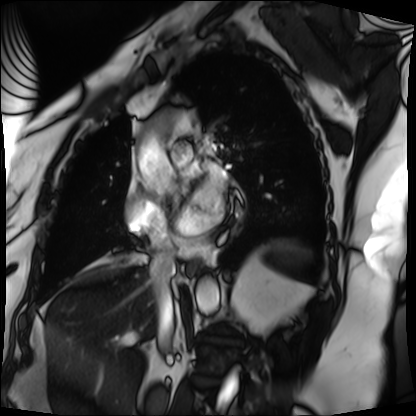
modality: cardiac MRI
cohort: patient